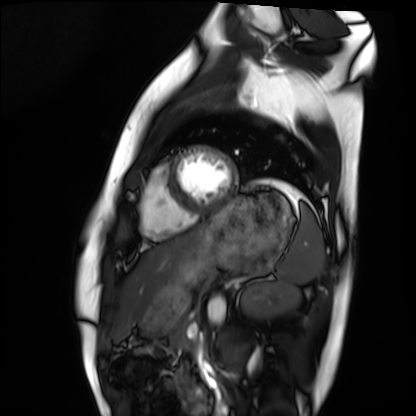
{
  "modality": "cardiac MRI",
  "cohort": "healthy volunteer"
}